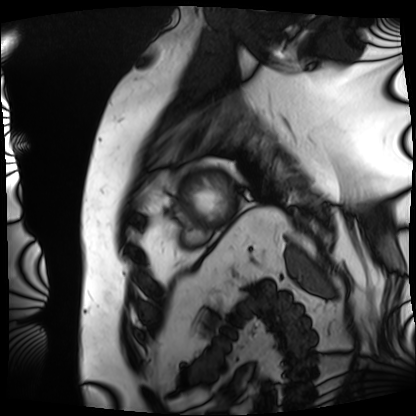
Cardiac MRI. Subject group: patient.